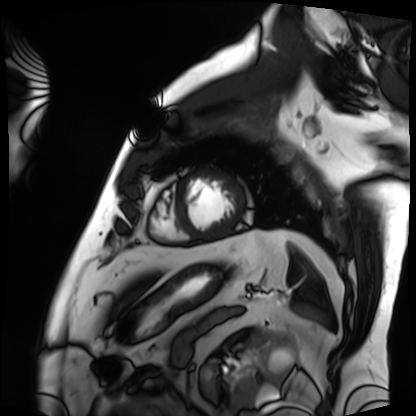
Q: What kind of scan is this?
A: Cardiac MRI.
Subject group: patient.